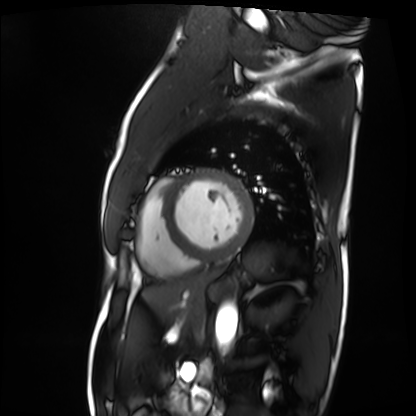
Cardiac MRI.
Subject group: patient.